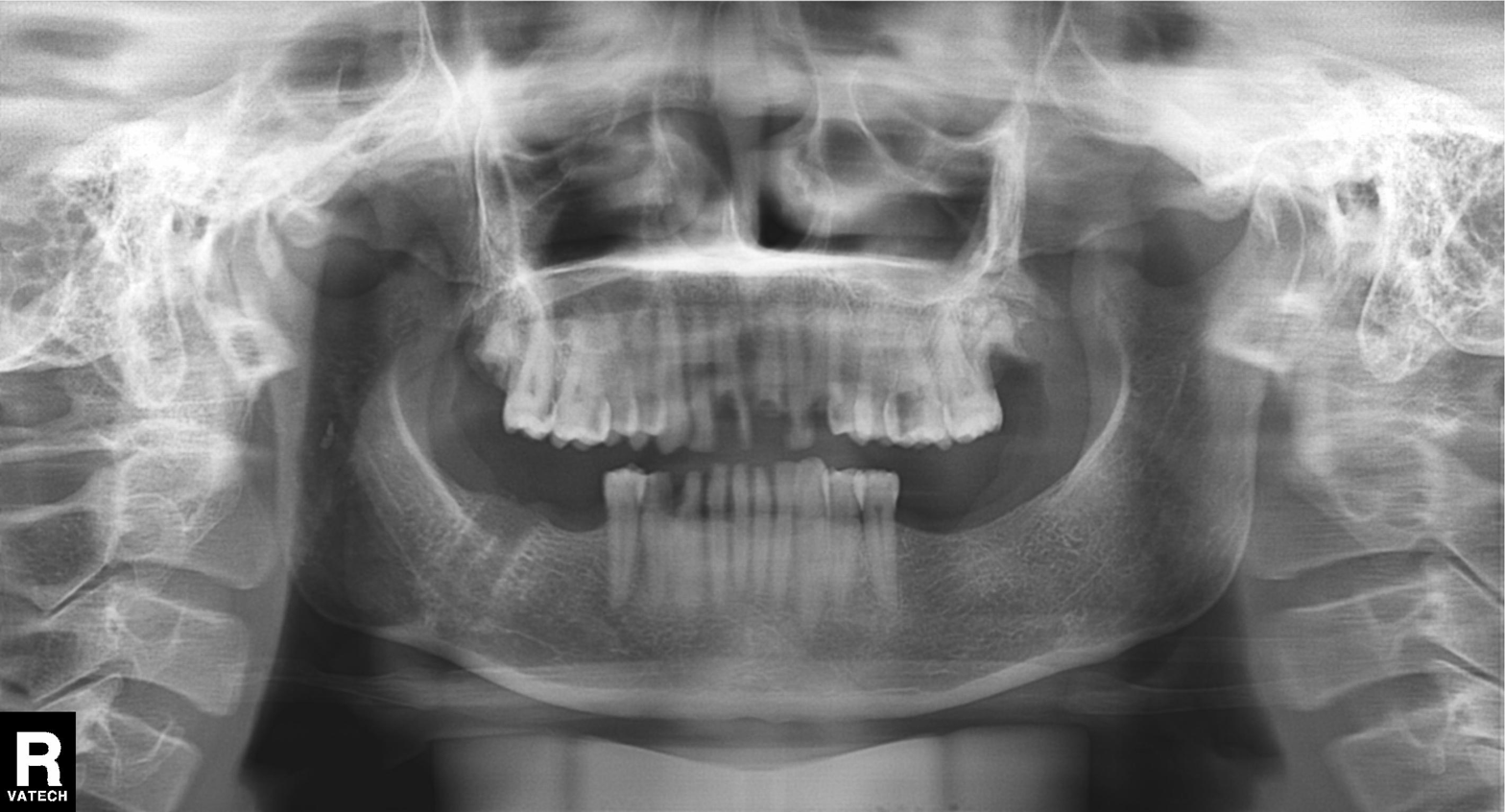
Case summary: Panoramic dental radiograph (orthopantomogram).
Assessment: Alveolar bone loss.